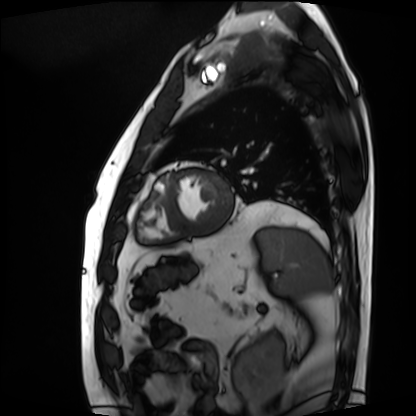
Summary: Cardiac MRI. Subject group: patient.